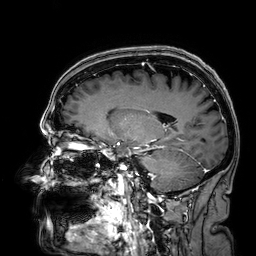
  modality:
    type: brain MRI
    field_strength: 3T
  study_topic: ring-enhancing brain masses